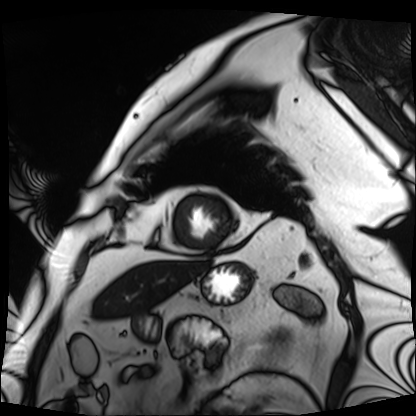
Cardiac MRI.
Subject group: patient.